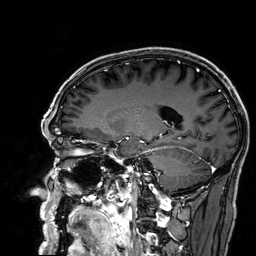
Case:
– modality: 3 Tesla brain MRI
– series: 3D T1-weighted
– study: ring-enhancing brain masses